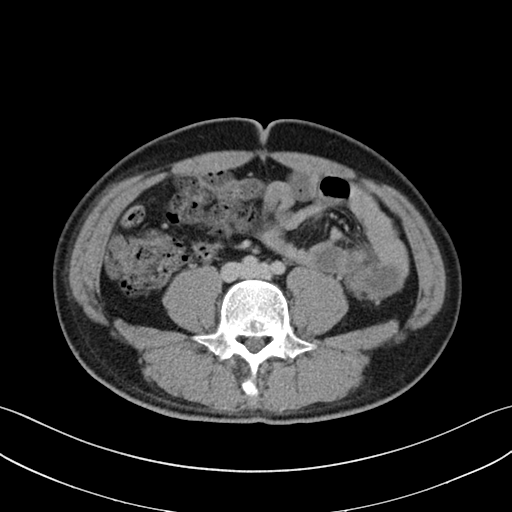
* modality — multiphase abdominal CT, liver, delayed phase
* patient — male, age 32